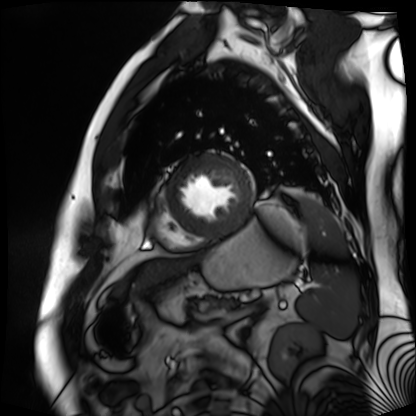
modality=cardiac MR image of the myocardium
subject cohort=cardiac patient